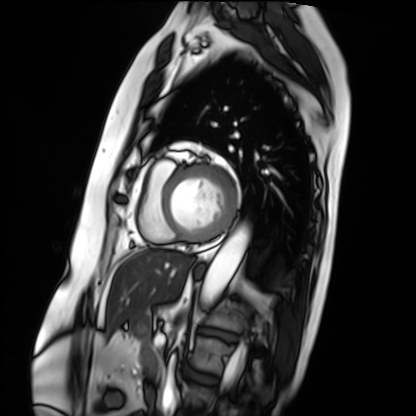
Summary:
Cardiac MRI. Subject group: patient.